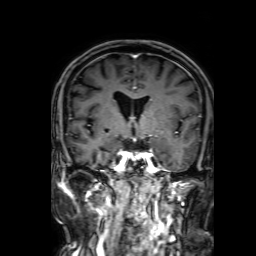
Clinical context:
3 Tesla brain MRI. Series: 3D T1-weighted with SENSE. Study: ring-enhancing brain masses.